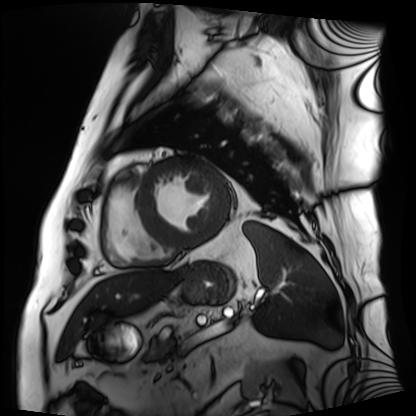
modality: cardiac MRI
subject group: patient